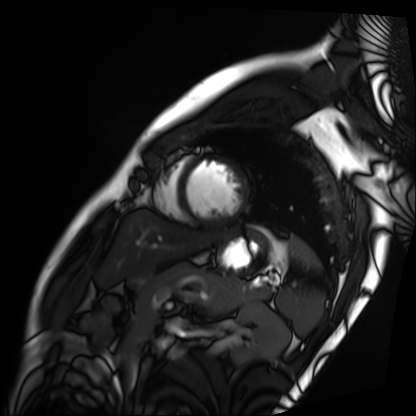
modality: cardiac MRI, subject group: patient.